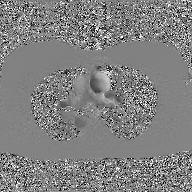
2D phase-contrast cine MRI of the ascending aorta, GAN super-resolution reconstruction.